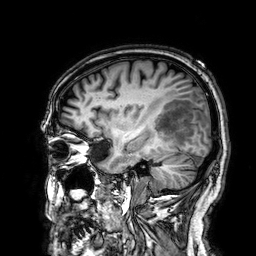
3 Tesla brain MRI.
Series: 3D T1-weighted.
Study: ring-enhancing brain masses.